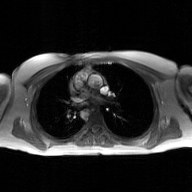
| field | value |
|---|---|
| modality | 2D phase-contrast cine MRI of the ascending aorta, GAN super-resolution reconstruction |